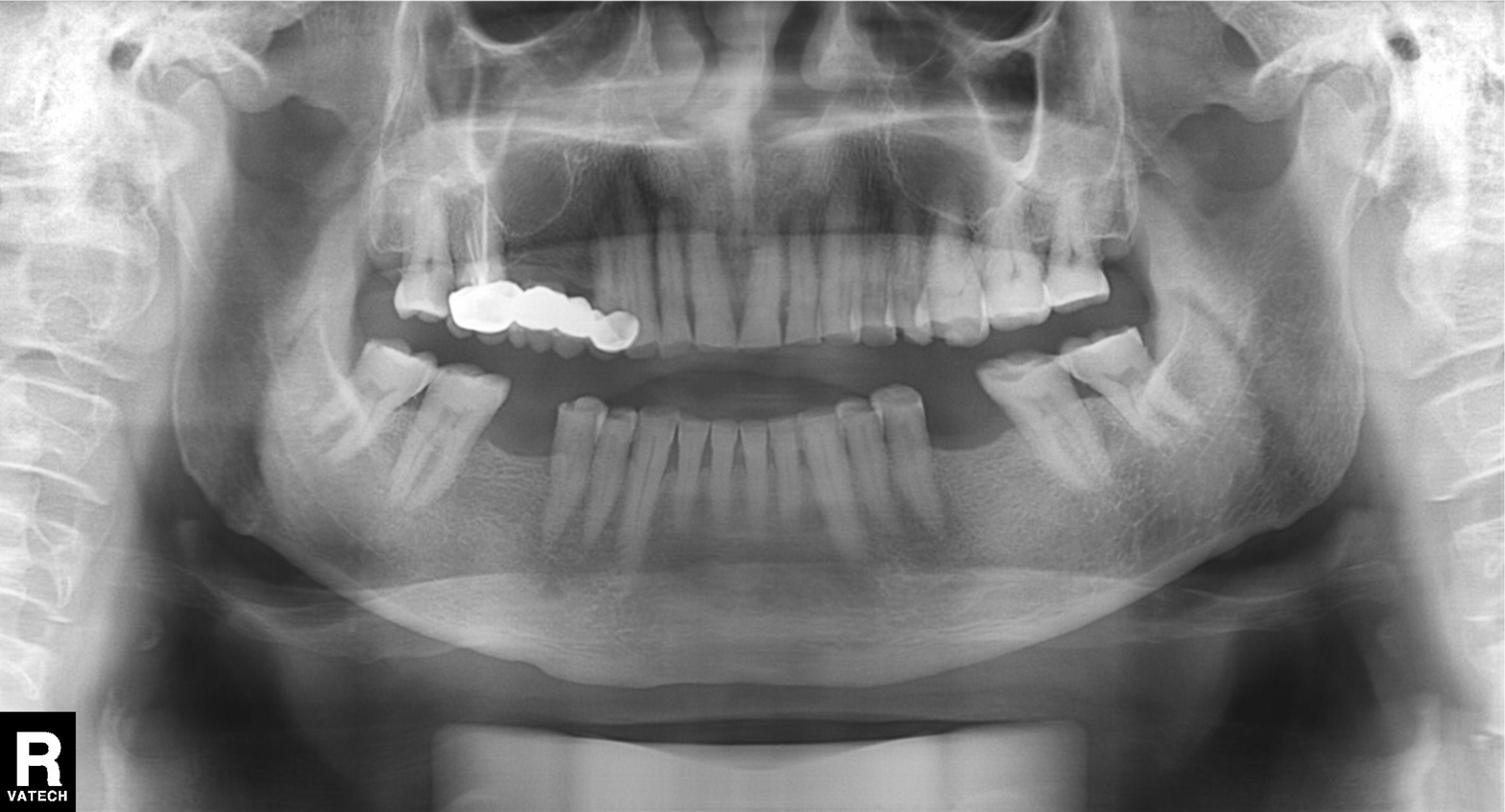
Case summary:
Panoramic dental radiograph (orthopantomogram).
Conclusion:
Dental caries (cavities).